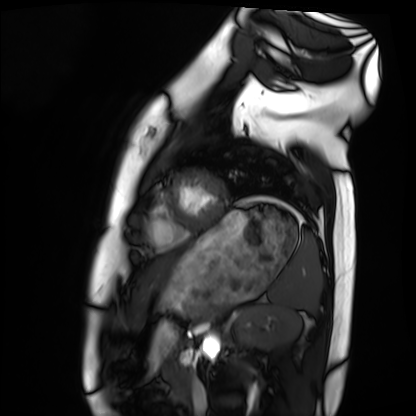
modality = cardiac MRI, subject group = healthy volunteer.